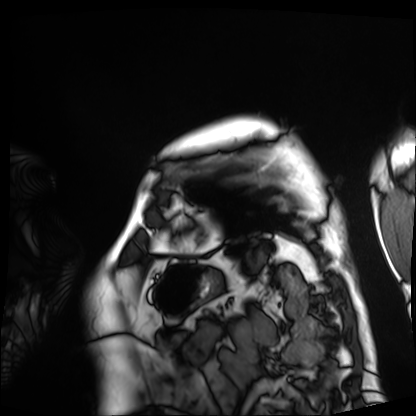
modality = cardiac MRI | subject group = patient.